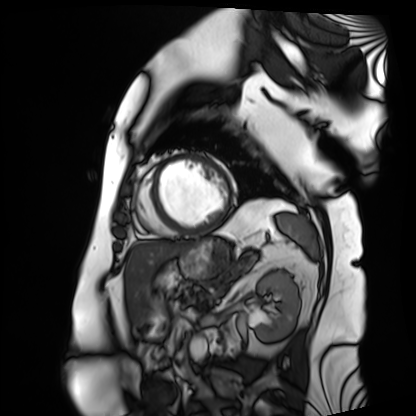
modality = cardiac MRI, subject group = patient.